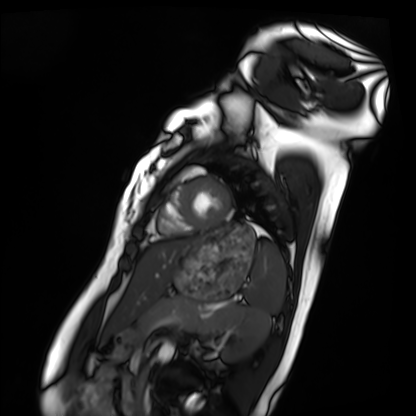
modality = cardiac MRI
subject group = healthy volunteer